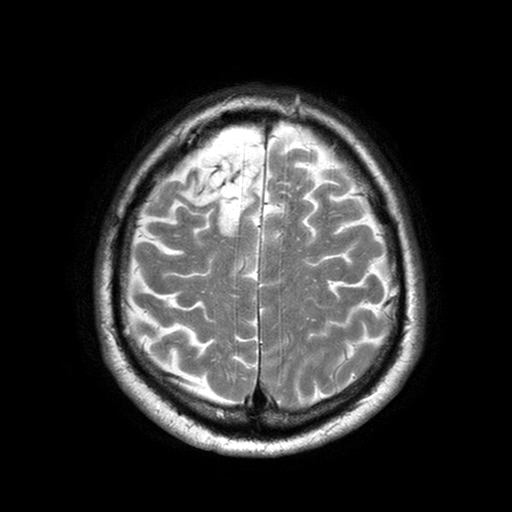
• modality · 3 Tesla brain MRI
• series · T2-weighted turbo spin echo with SENSE
• study · ring-enhancing brain masses